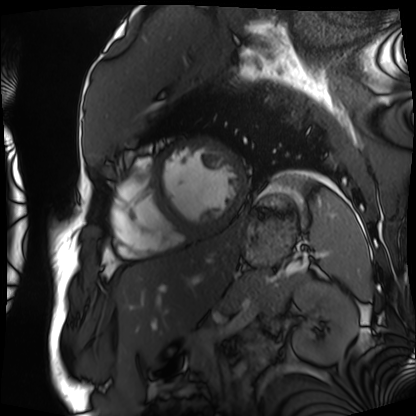
Cardiac MRI. Subject group: patient.